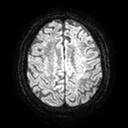
{
  "modality": {
    "type": "brain MRI",
    "field_strength": "3T"
  },
  "series": "diffusion tensor imaging (medium iso)",
  "study_topic": "ring-enhancing brain masses"
}